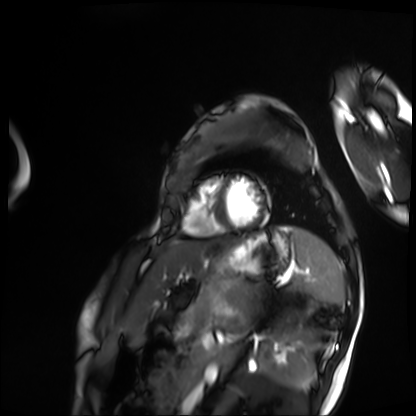
Summary: Cardiac MRI. Subject group: patient.